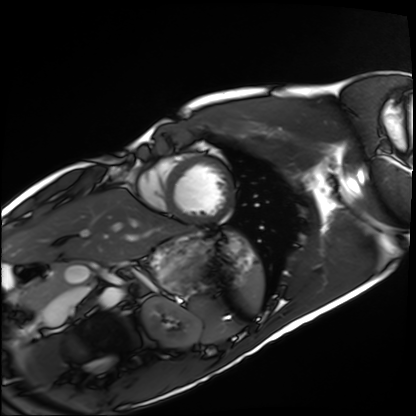
Cardiac MRI. Subject group: healthy volunteer.